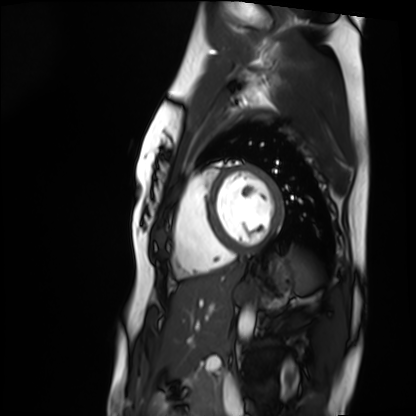
modality: cardiac MRI | subject group: healthy volunteer.